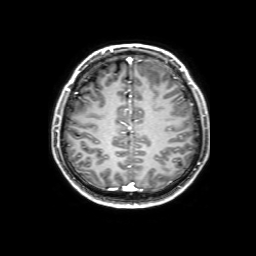
Summary: 3 Tesla brain MRI. Series: 3D T1-weighted with SENSE. Study: ring-enhancing brain masses.